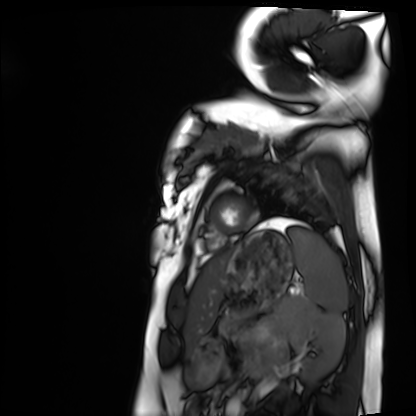
{
  "modality": "cardiac MRI",
  "cohort": "healthy volunteer"
}